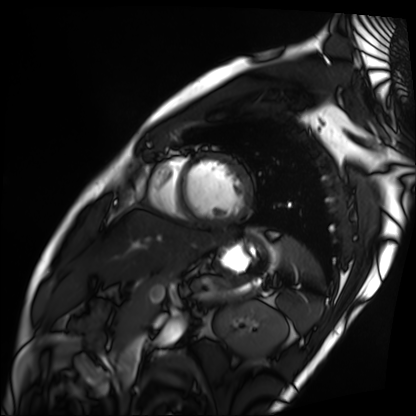
Cardiac MRI. Subject group: patient.